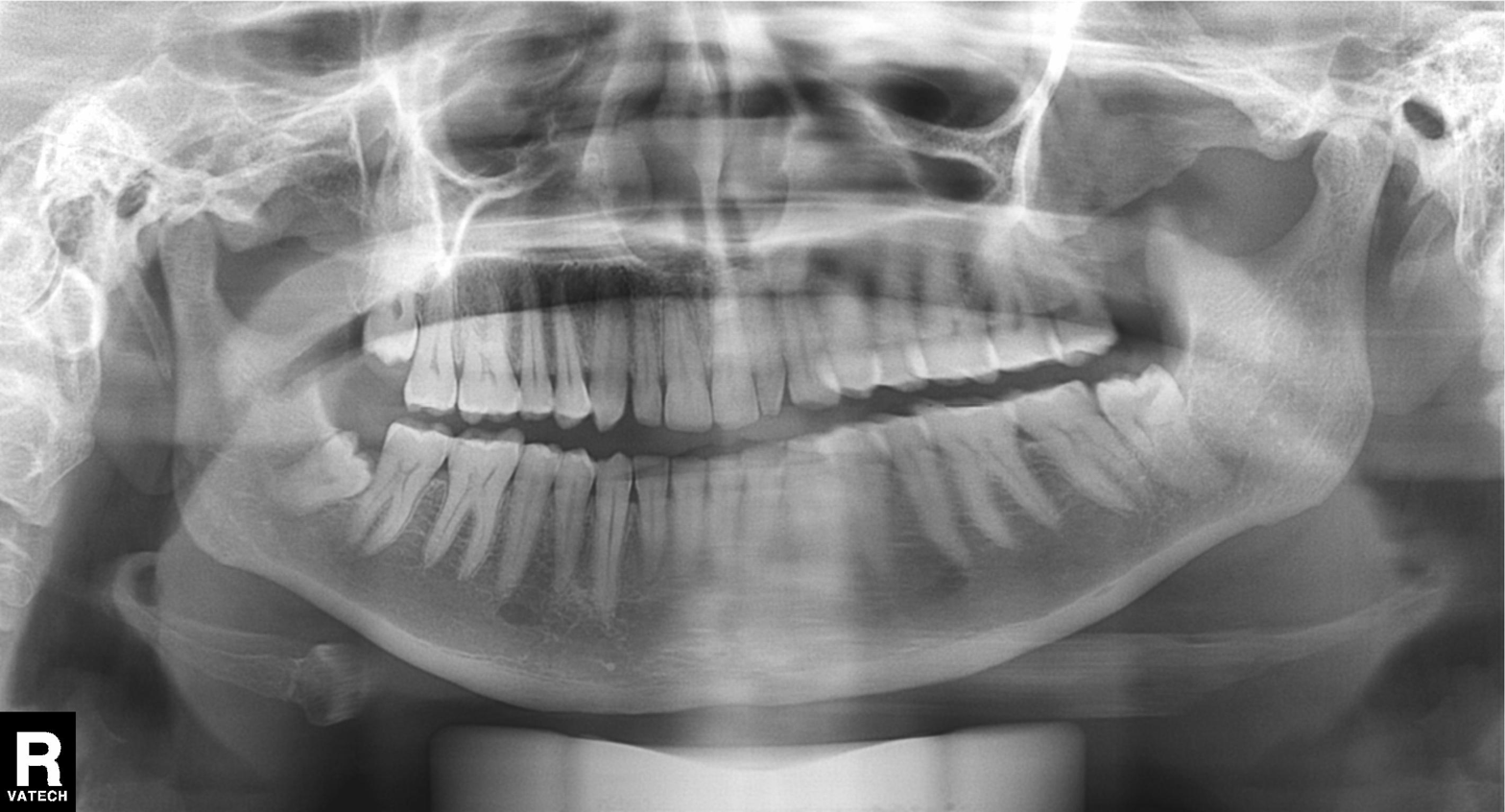
– modality: panoramic dental radiograph (orthopantomogram)
– finding: alveolar bone loss